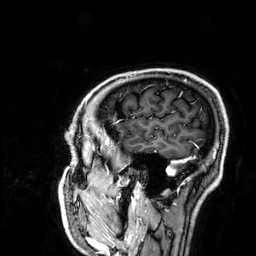
{
  "modality": {
    "type": "brain MRI",
    "field_strength": "3T"
  },
  "series": "3D T1-weighted",
  "study_topic": "ring-enhancing brain masses"
}